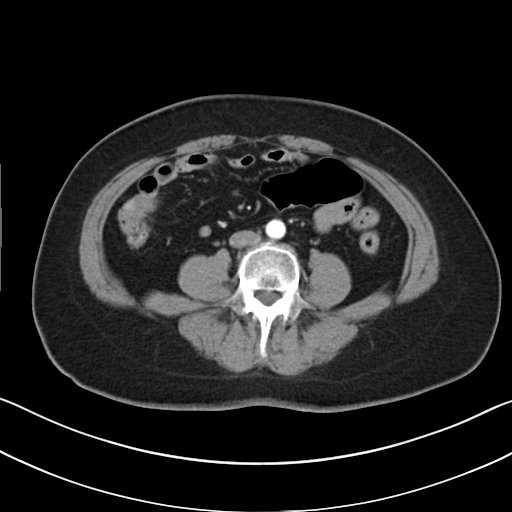
  modality:
    type: multiphase abdominal CT
    region: liver
    phase: arterial
  patient:
    sex: female
    age: 57
  history:
    - viral hepatitis